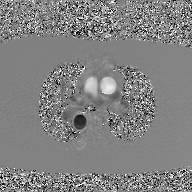
2D phase-contrast cine MRI of the ascending aorta, GAN super-resolution reconstruction.